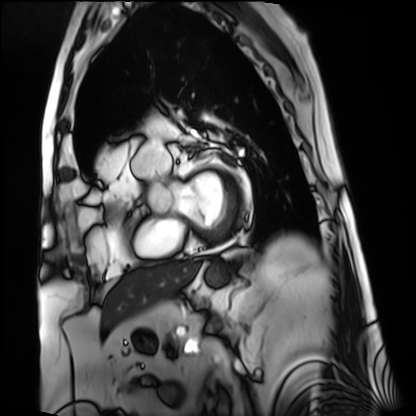
Cardiac MRI.
Subject group: patient.